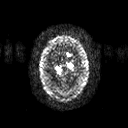
Summary:
3 Tesla brain MRI. Series: diffusion tensor imaging (medium iso). Study: ring-enhancing brain masses.